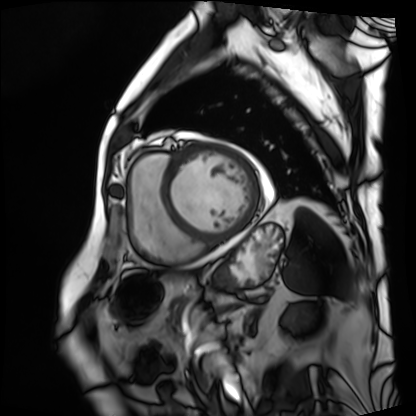
Cardiac MRI.
Subject group: patient.